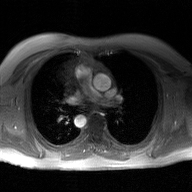
2D phase-contrast cine MRI of the ascending aorta, GAN super-resolution reconstruction.